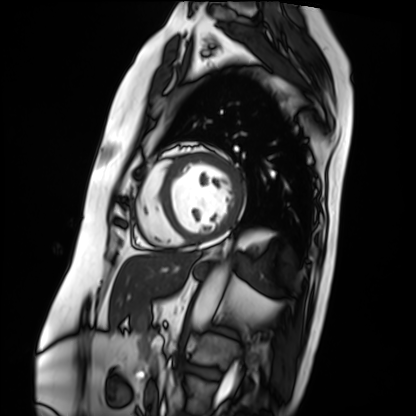
* modality — cardiac MRI
* subject group — patient